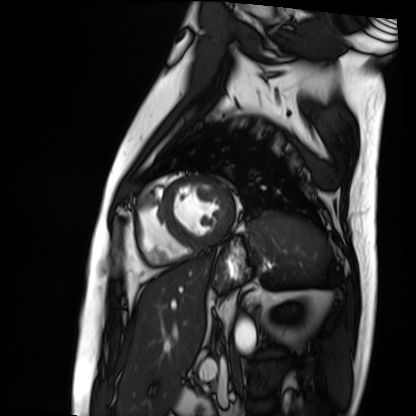
Cardiac MRI. Subject group: patient.